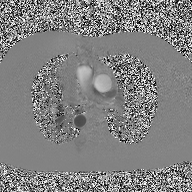
| field | value |
|---|---|
| modality | 2D phase-contrast cine MRI of the ascending aorta |